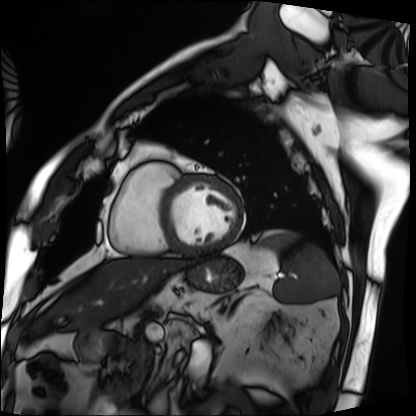
Cardiac MRI. Subject group: patient.